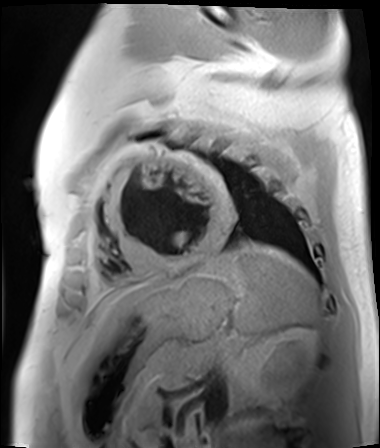
Cardiac MR image of the myocardium. Subject cohort: cardiac patient.